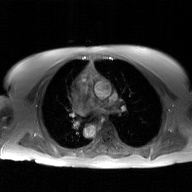
modality: 2D phase-contrast cine MRI of the ascending aorta, GAN super-resolution reconstruction